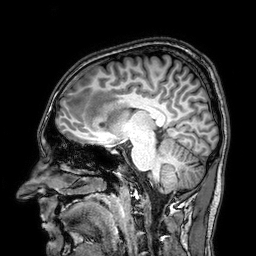
| field | value |
|---|---|
| modality | 3 Tesla brain MRI |
| series | 3D T1-weighted |
| study | ring-enhancing brain masses |